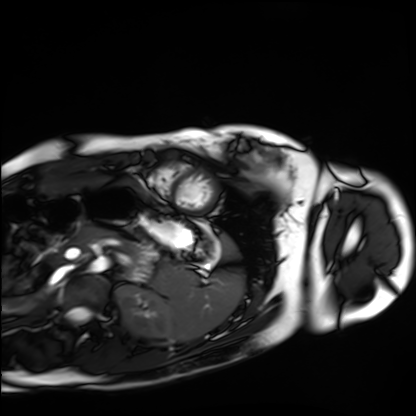
Cardiac MRI.
Subject group: healthy volunteer.